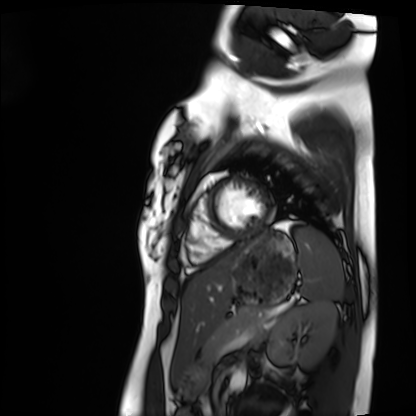
  modality: cardiac MRI
  cohort: healthy volunteer